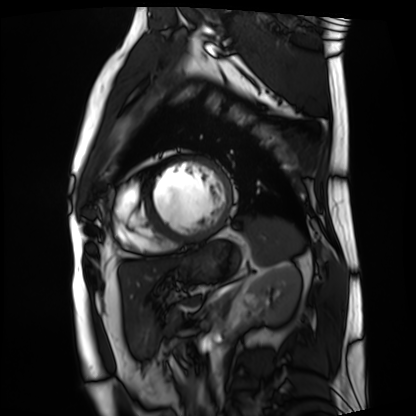
Cardiac MRI. Subject group: patient.